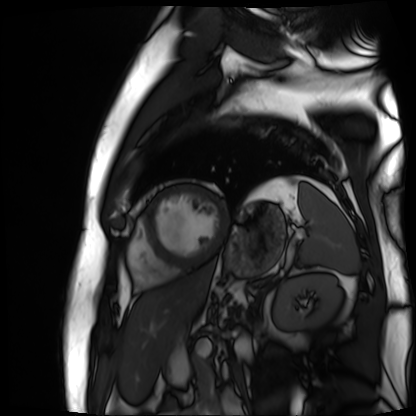
Cardiac MR image of the myocardium.
Subject cohort: cardiac patient.